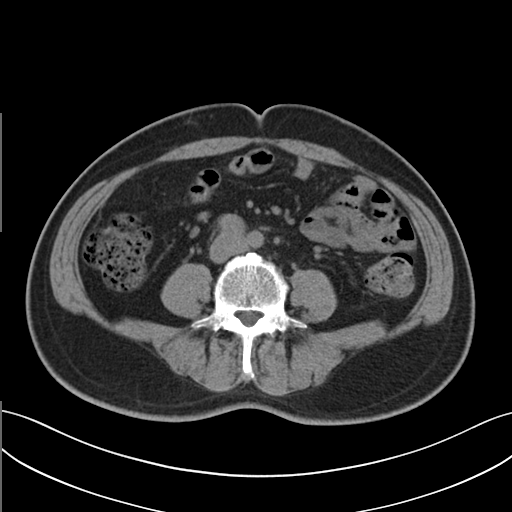
Case summary:
Multiphase abdominal CT, liver, non-contrast phase. Patient: male, age 48.